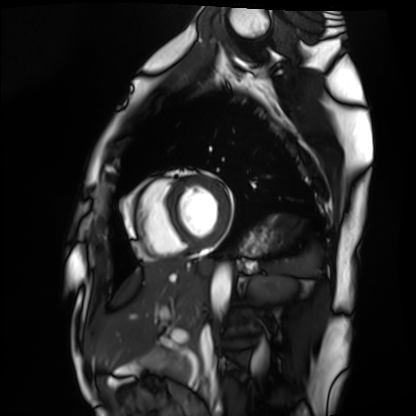
{"modality": "cardiac MRI", "cohort": "healthy volunteer"}